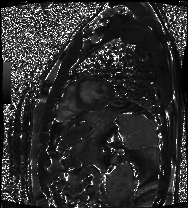
Cardiac MRI.
Subject group: patient.